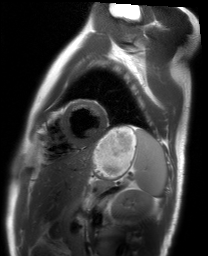
modality: cardiac MRI
cohort: healthy volunteer